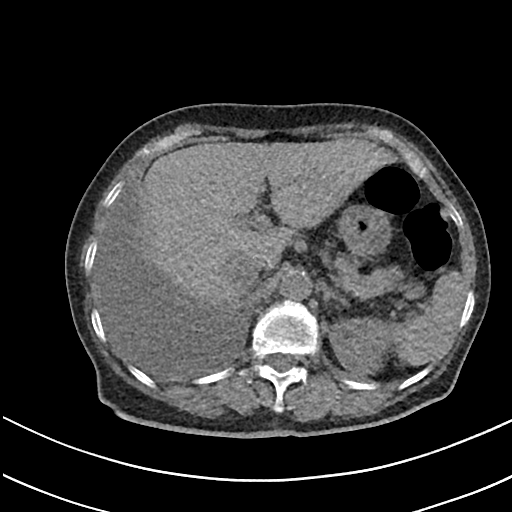
modality:
  type: multiphase abdominal CT
  region: liver
  phase: non-contrast
patient:
  sex: female
  age: 76
history:
  - prior chemotherapy